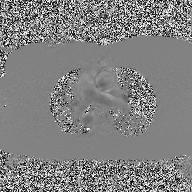
Clinical context:
2D phase-contrast cine MRI of the ascending aorta, high-resolution GRAPPA acquisition.